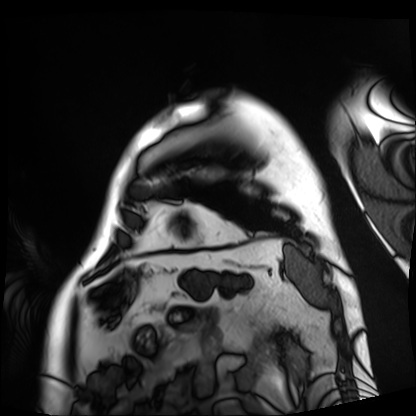
  modality: cardiac MRI
  cohort: patient